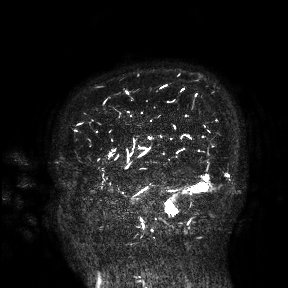
modality: 3 Tesla brain MRI; study: ring-enhancing brain masses.